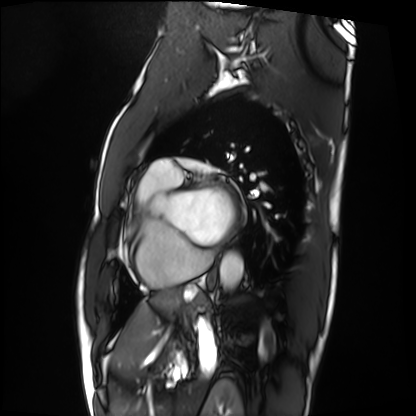
Cardiac MRI.
Subject group: patient.